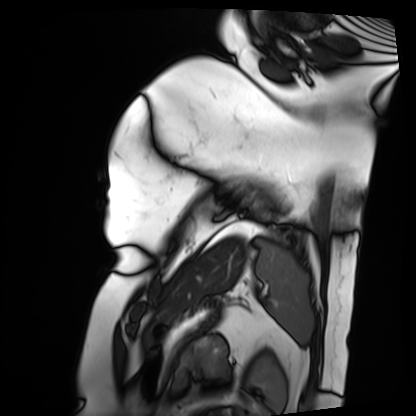
modality=cardiac MRI
subject group=patient